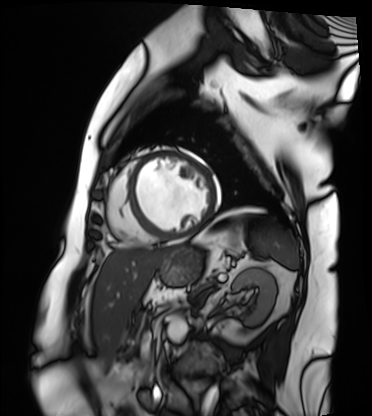
Summary:
Cardiac MRI. Subject group: patient.